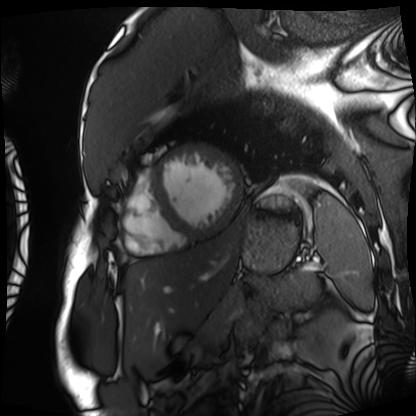
Case:
* modality: cardiac MRI
* subject group: patient